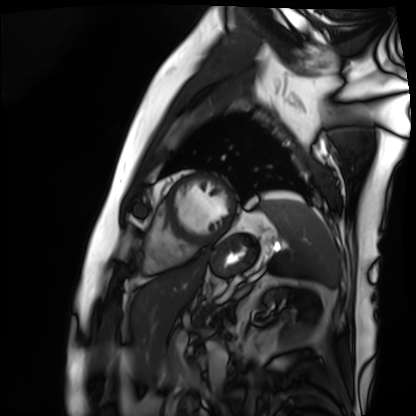
Summary:
Cardiac MRI. Subject group: patient.